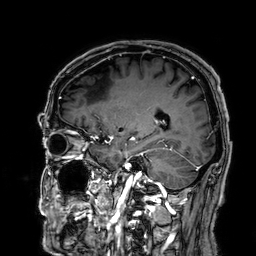
modality = 3 Tesla brain MRI
series = 3D T1-weighted
study = ring-enhancing brain masses